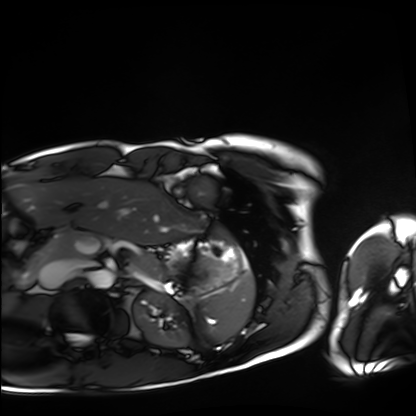
Q: What kind of scan is this?
A: Cardiac MRI.
Subject group: healthy volunteer.